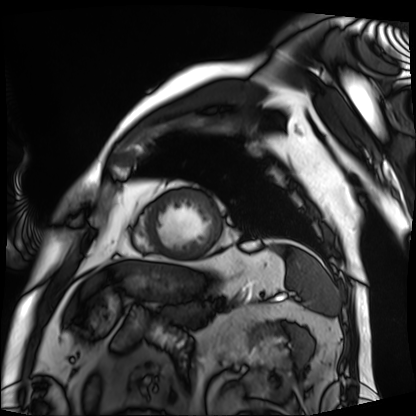
Q: What kind of scan is this?
A: Cardiac MRI.
Subject group: patient.